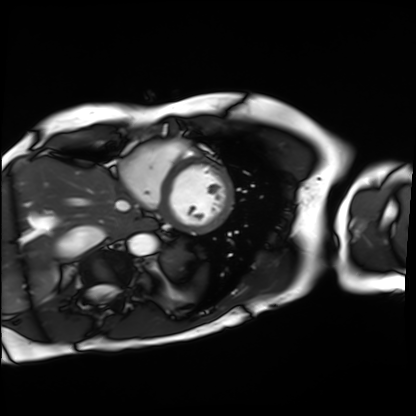
* modality — cardiac MRI
* subject group — patient